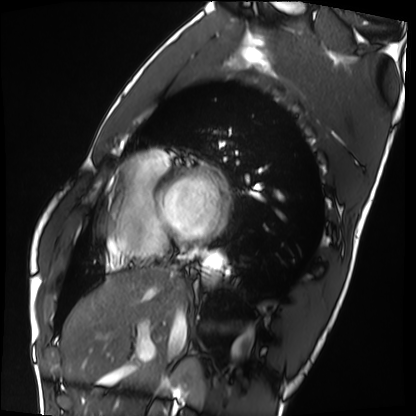
* modality: cardiac MRI
* subject group: healthy volunteer